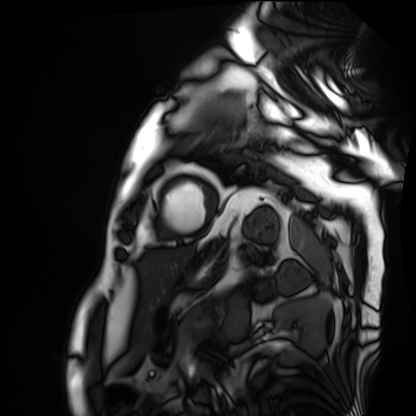
Case summary: Cardiac MRI. Subject group: patient.